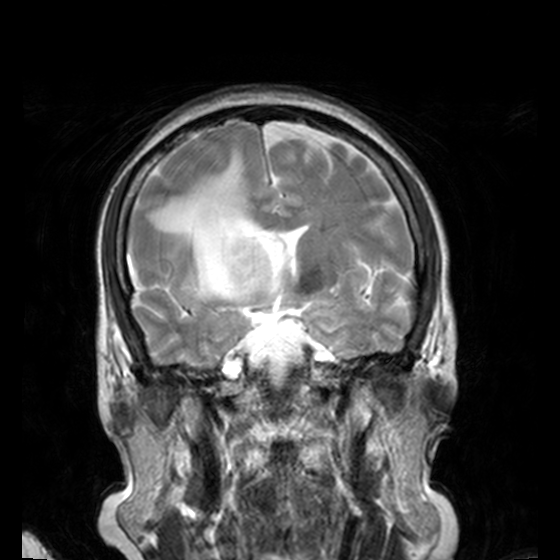
Case:
• modality: 3 Tesla brain MRI
• series: T2-weighted turbo spin echo, 3 mm
• study: ring-enhancing brain masses